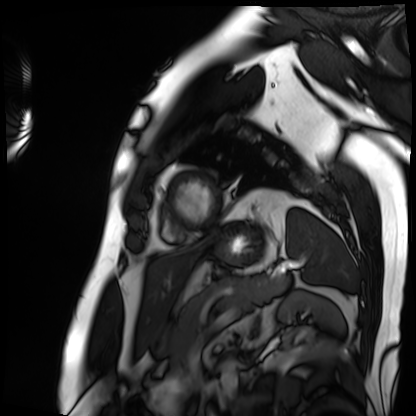
{"modality": "cardiac MRI", "cohort": "patient"}